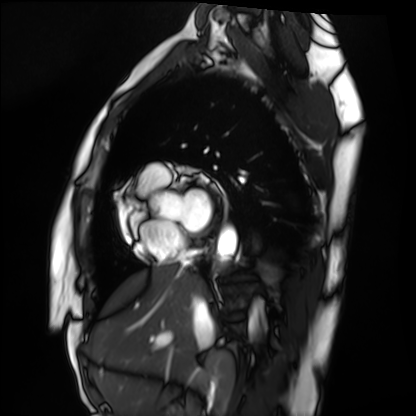
modality — cardiac MRI
subject group — healthy volunteer